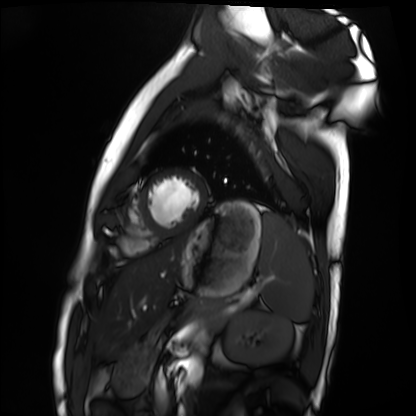
Cardiac MRI.
Subject group: healthy volunteer.